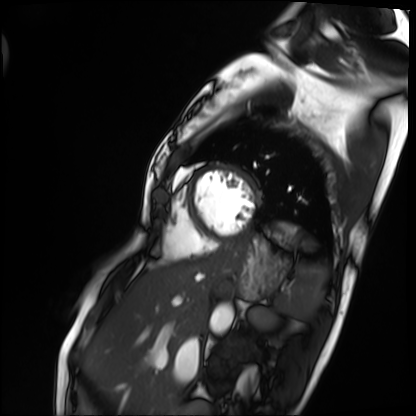
| field | value |
|---|---|
| modality | cardiac MRI |
| subject group | patient |